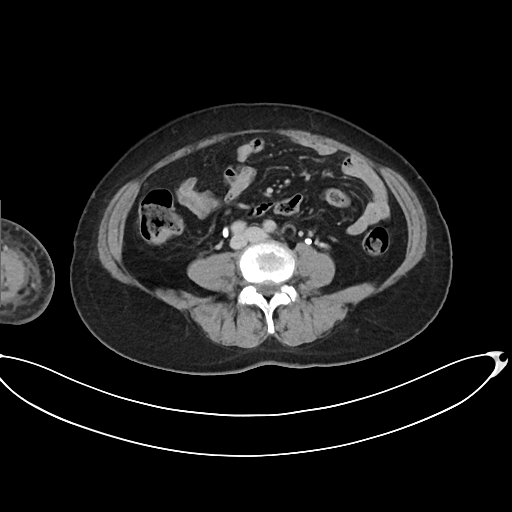
Multiphase abdominal CT, liver, delayed phase. Patient: female, age 63. History: prior chemotherapy.